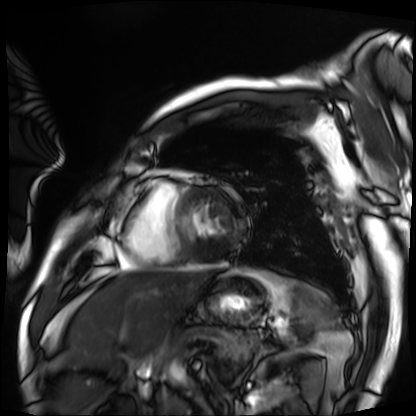
Summary:
Cardiac MRI. Subject group: patient.